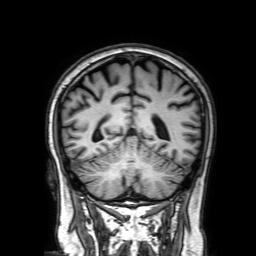
| field | value |
|---|---|
| modality | 3 Tesla brain MRI |
| series | 3D T1-weighted with SENSE |
| study | ring-enhancing brain masses |